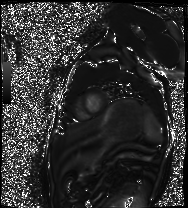
{"modality": "cardiac MRI", "cohort": "healthy volunteer"}